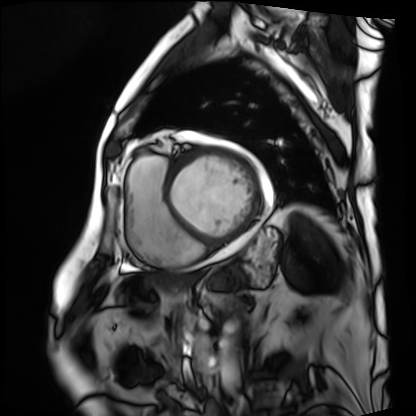
modality = cardiac MRI, subject group = patient.